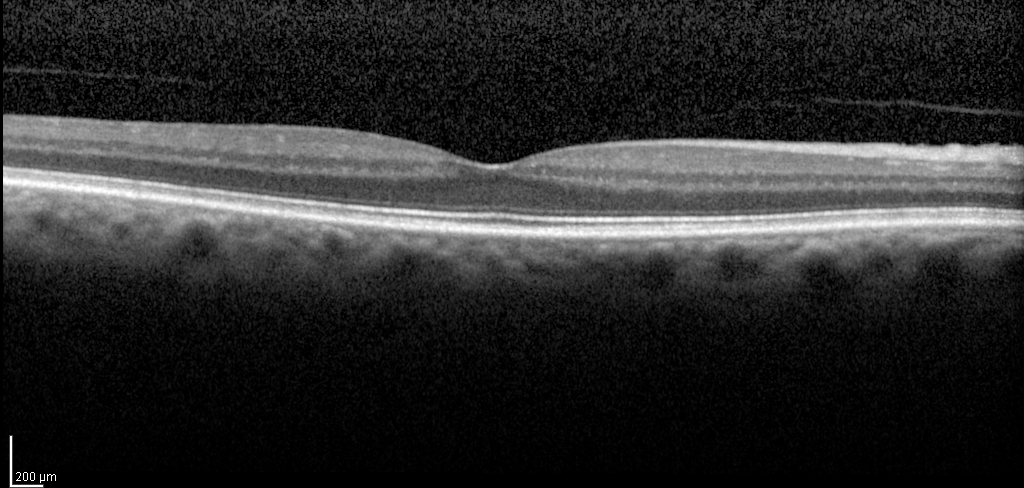
modality: spectral-domain optical coherence tomography (SD-OCT) of the macula; subject: male, age 59, right eye; cohort: diabetic subject; ETDRS-grid retinal thickness (μm): central 322, inner temporal 354, inner nasal 361, inner superior 361, inner inferior 357, outer temporal 293, outer nasal 322, outer superior 324, outer inferior 299.